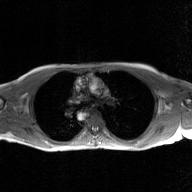
Q: What kind of scan is this?
A: 2D phase-contrast cine MRI of the ascending aorta, GAN super-resolution reconstruction.